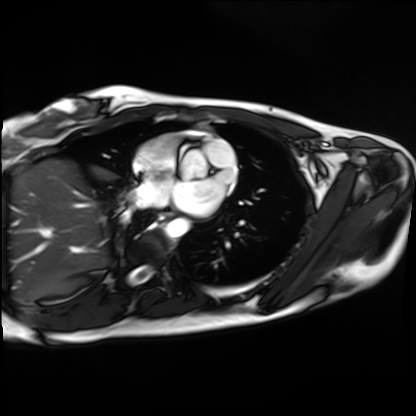
  modality: cardiac MRI
  cohort: healthy volunteer